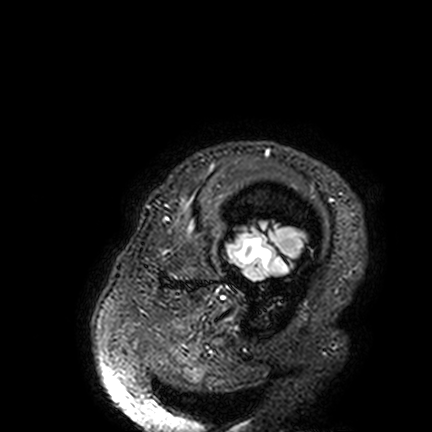
3 Tesla brain MRI.
Series: FLAIR VISTA.
Study: ring-enhancing brain masses.